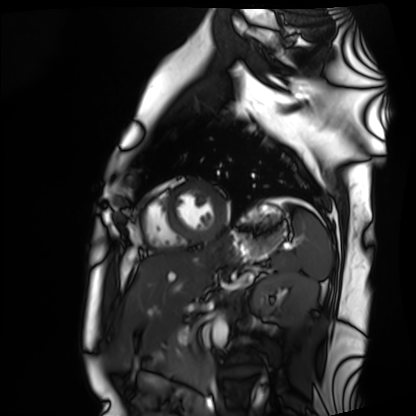
• modality — cardiac MRI
• subject group — healthy volunteer